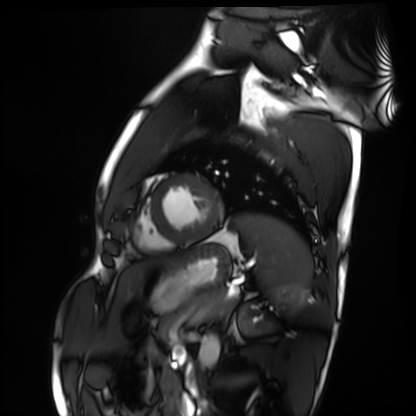
Summary:
Cardiac MRI. Subject group: healthy volunteer.